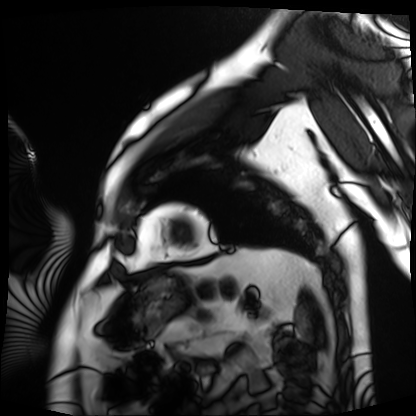
Clinical context:
Cardiac MRI. Subject group: patient.